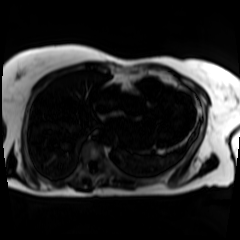
modality = chemical-shift-encoded cardiac MRI.